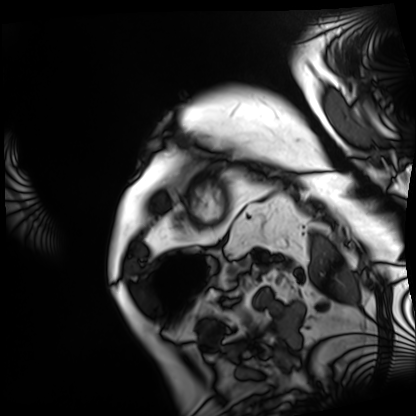
Cardiac MRI. Subject group: patient.